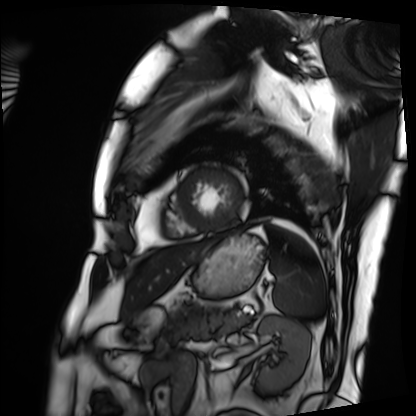
Case summary: Cardiac MRI. Subject group: patient.